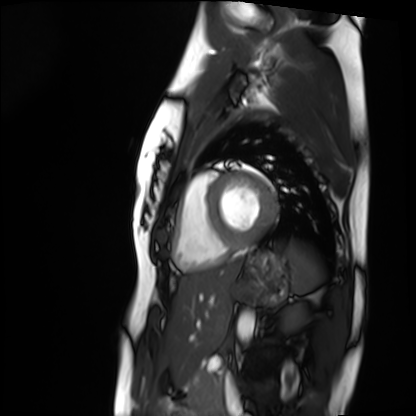
Clinical context: Cardiac MRI. Subject group: healthy volunteer.